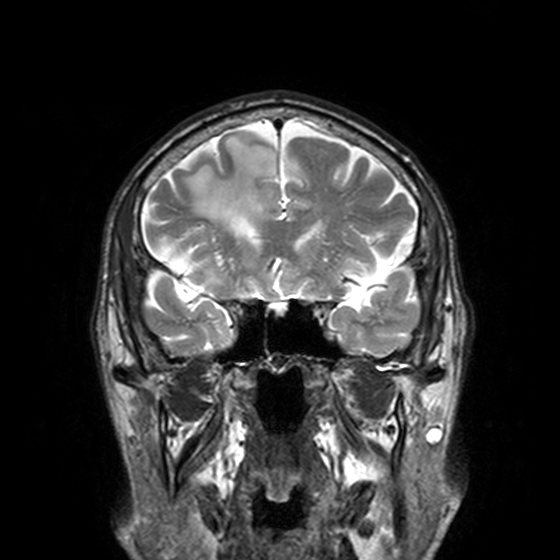
3 Tesla brain MRI. Series: T2-weighted turbo spin echo, 3 mm. Study: ring-enhancing brain masses.